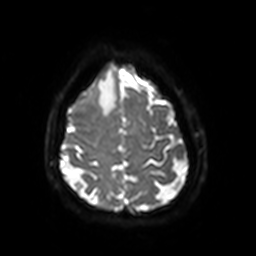
  modality:
    type: brain MRI
    field_strength: 3T
  series: diffusion-weighted imaging with SENSE (WIP)
  study_topic: ring-enhancing brain masses